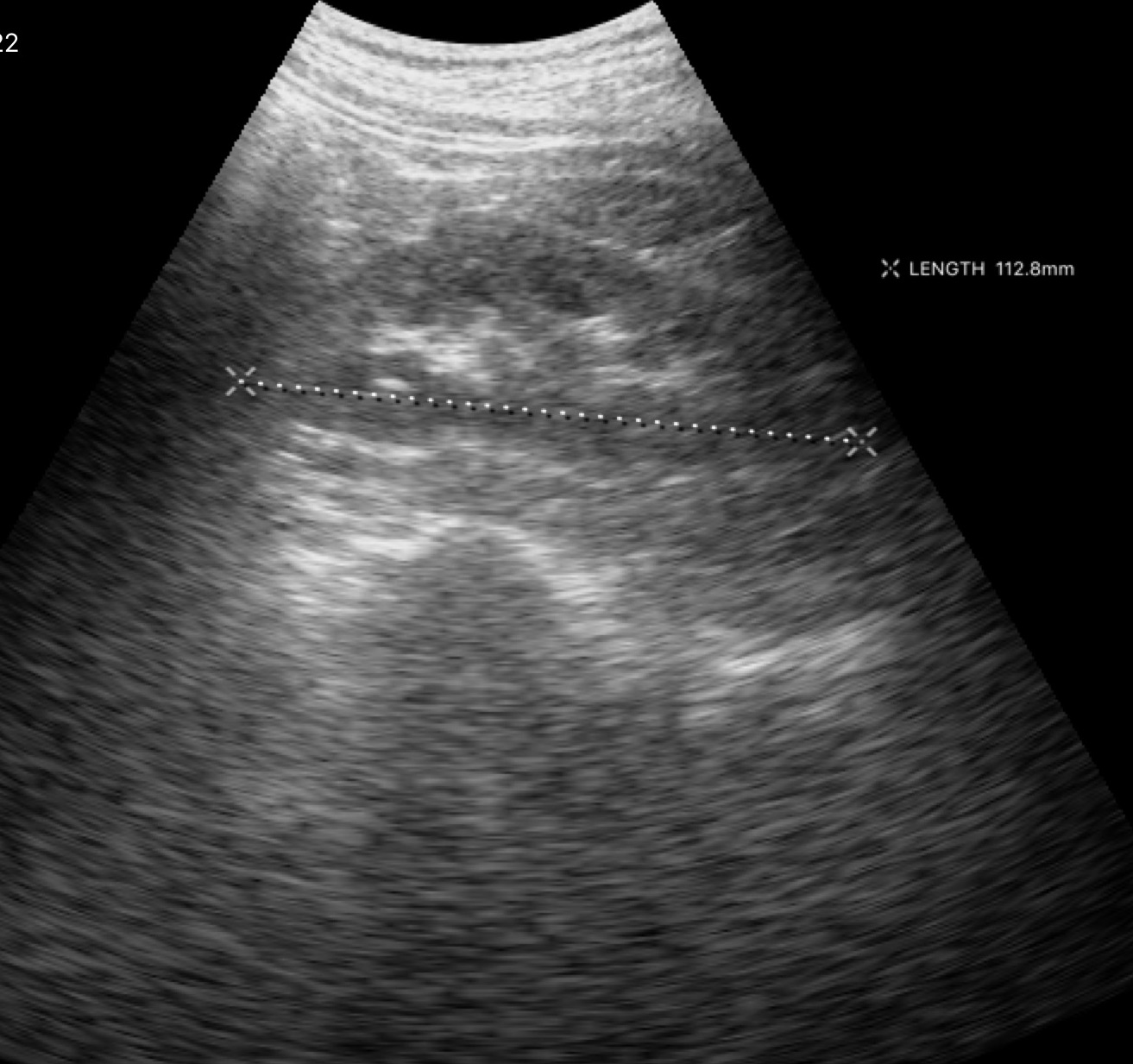
Case:
- modality: genitourinary ultrasound